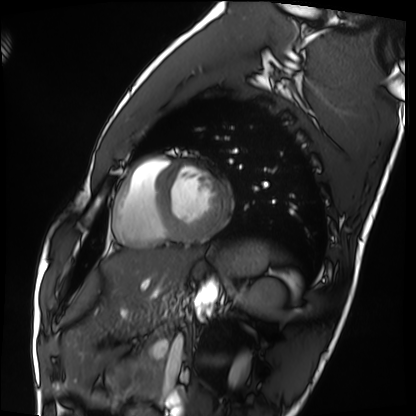
| field | value |
|---|---|
| modality | cardiac MRI |
| subject group | healthy volunteer |